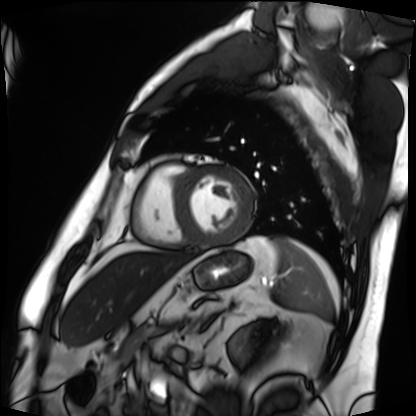
Cardiac MRI. Subject group: patient.